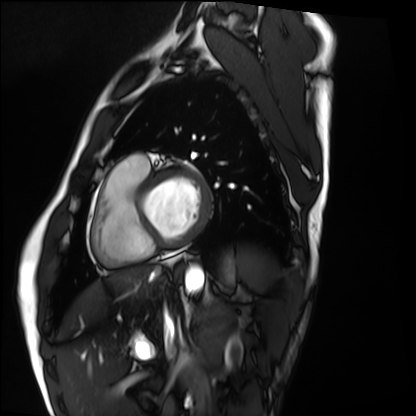
{"modality": "cardiac MRI", "cohort": "healthy volunteer"}